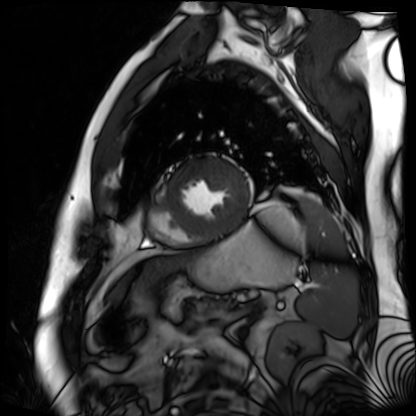
Clinical context:
Cardiac MR image of the myocardium. Subject cohort: cardiac patient.